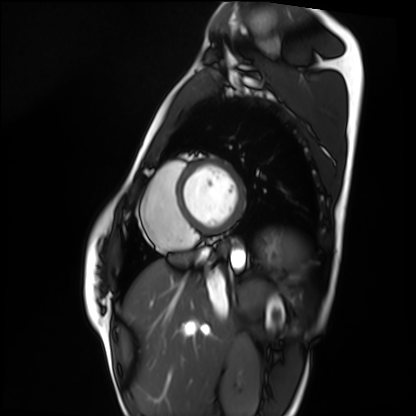
Q: What kind of scan is this?
A: Cardiac MRI.
Subject group: healthy volunteer.